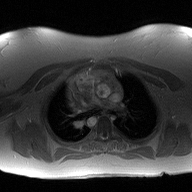
  modality:
    type: 2D phase-contrast cine MRI
    region: ascending aorta
    reconstruction: high-resolution GRAPPA acquisition